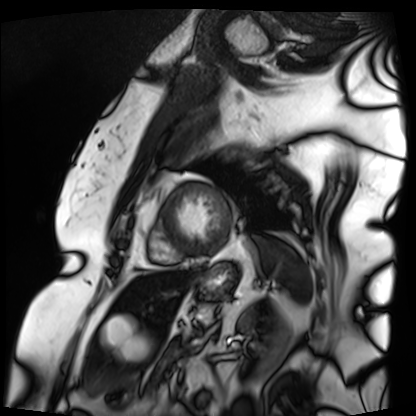
Cardiac MRI. Subject group: patient.